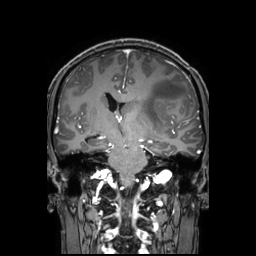
3 Tesla brain MRI. Series: 3D T1-weighted TFE with SENSE. Study: ring-enhancing brain masses.